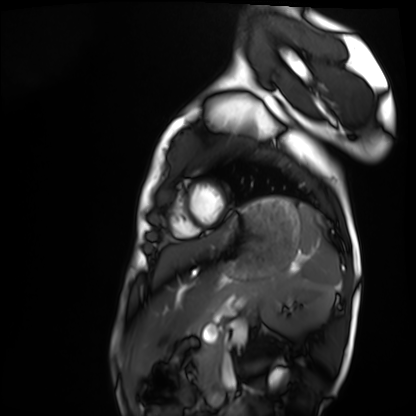
Q: What kind of scan is this?
A: Cardiac MRI.
Subject group: healthy volunteer.